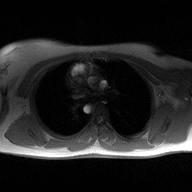
2D phase-contrast cine MRI of the ascending aorta, high-resolution GRAPPA acquisition.